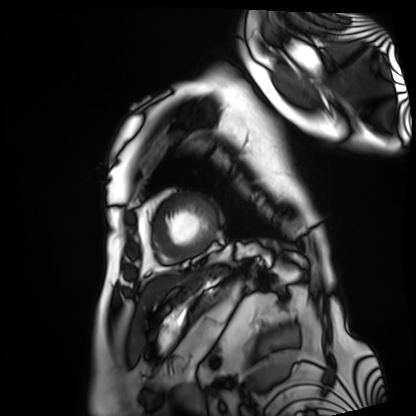
Q: What kind of scan is this?
A: Cardiac MRI.
Subject group: patient.